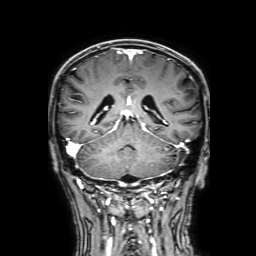
3 Tesla brain MRI. Series: 3D T1-weighted with SENSE. Study: ring-enhancing brain masses.